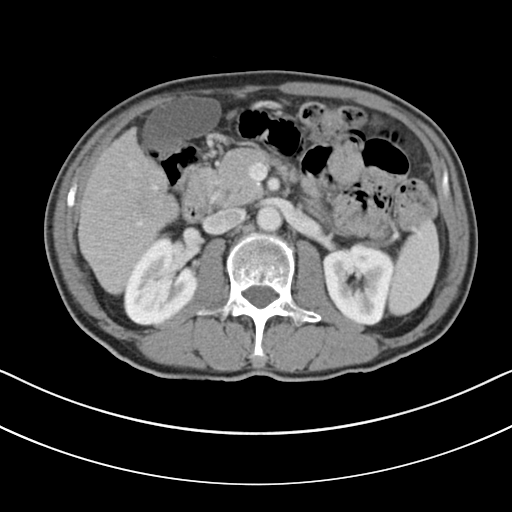
<scan>
<modality>
  <type>multiphase abdominal CT</type>
  <region>liver</region>
  <phase>portal venous</phase>
</modality>
<patient>
  <sex>male</sex>
  <age>69</age>
</patient>
<history>cirrhosis, viral hepatitis</history>
</scan>